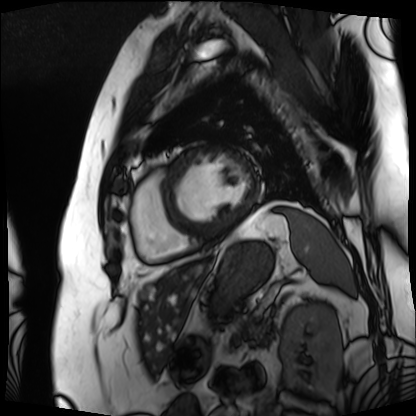
Cardiac MRI.
Subject group: patient.